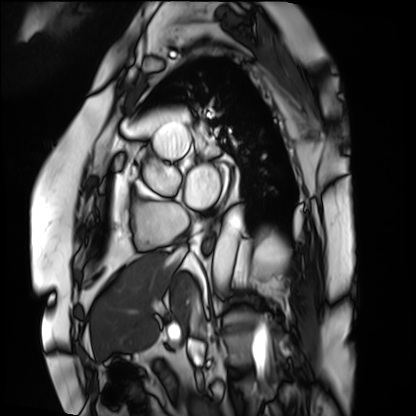
Cardiac MRI.
Subject group: patient.